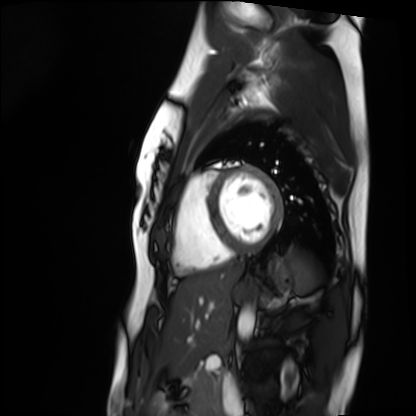
Case summary:
Cardiac MRI. Subject group: healthy volunteer.